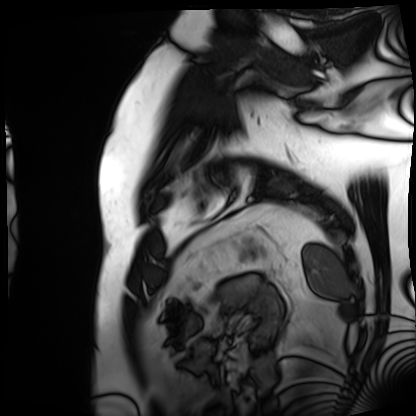
Clinical context:
Cardiac MRI. Subject group: patient.